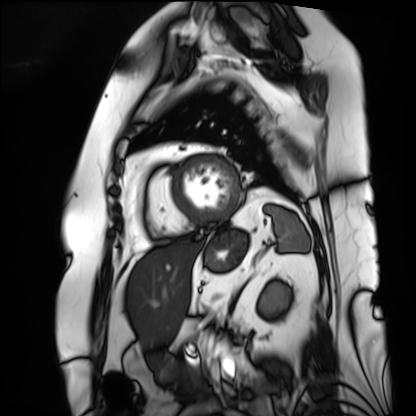
Cardiac MRI.
Subject group: patient.